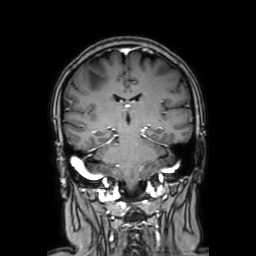
3 Tesla brain MRI. Series: coronal with contrast. Study: ring-enhancing brain masses.